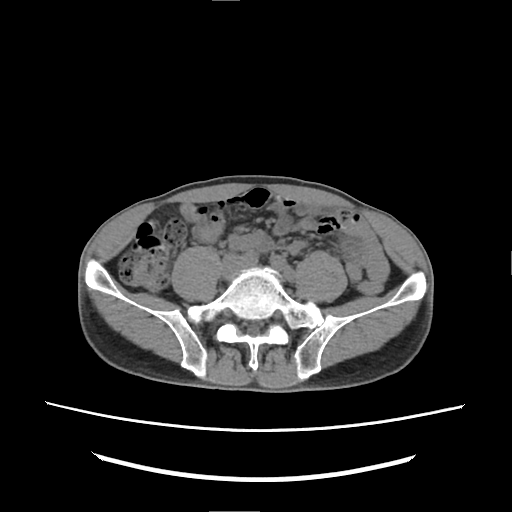
Multiphase abdominal CT, liver, non-contrast phase. Patient: male, age 60.